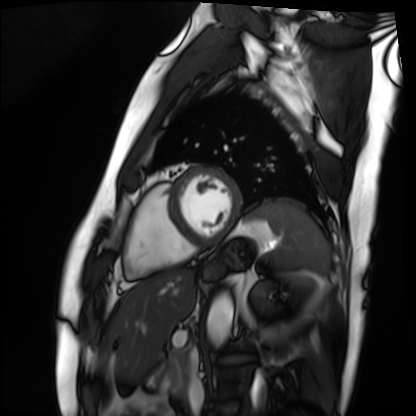
Q: What kind of scan is this?
A: Cardiac MRI.
Subject group: patient.